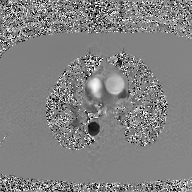
Summary:
2D phase-contrast cine MRI of the ascending aorta, GAN super-resolution reconstruction.